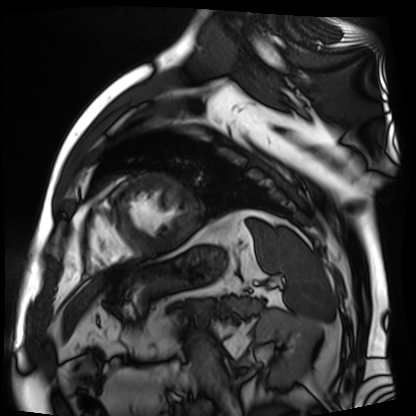
Summary: Cardiac MR image of the myocardium. Subject cohort: cardiac patient.